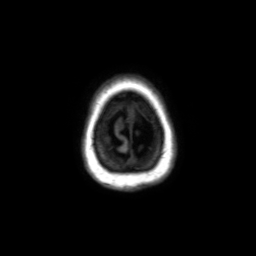
Summary:
3 Tesla brain MRI. Series: axial without contrast. Study: ring-enhancing brain masses.